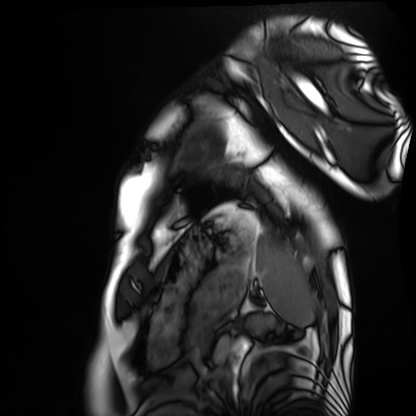
Cardiac MRI.
Subject group: healthy volunteer.